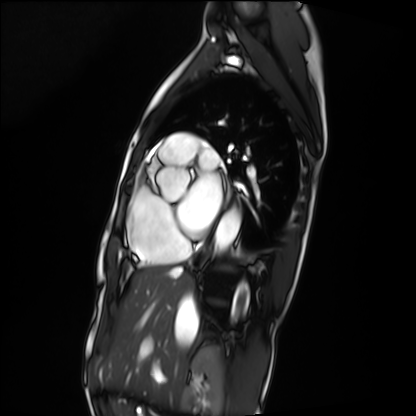
Cardiac MRI.
Subject group: patient.